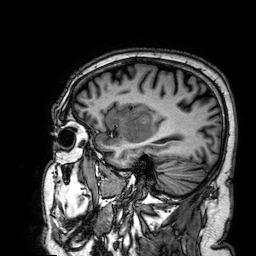
| field | value |
|---|---|
| modality | 3 Tesla brain MRI |
| series | 3D T1-weighted |
| study | ring-enhancing brain masses |